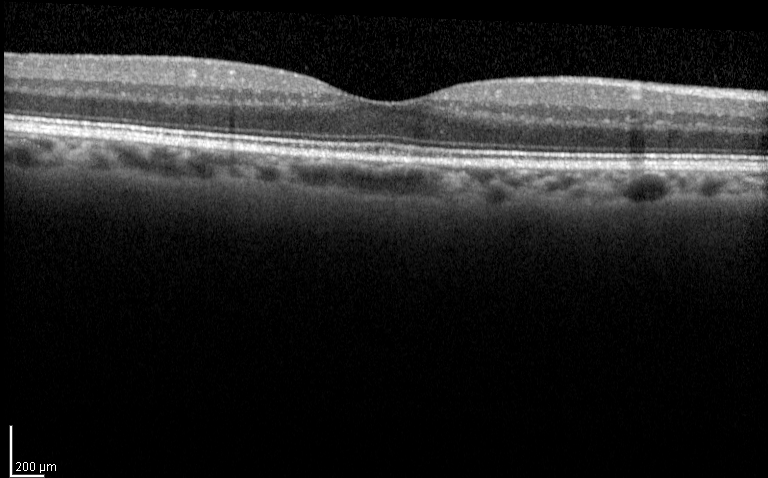
Spectral-domain optical coherence tomography (SD-OCT) of the macula.
Subject: female, age 72, right eye.
Cohort: diabetic subject.
ETDRS-grid retinal thickness (μm): central 287, inner temporal 338, inner nasal 343, inner superior 342, inner inferior 340, outer temporal 302, outer nasal 313, outer superior 307, outer inferior 300.